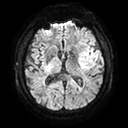
modality: 3 Tesla brain MRI; series: diffusion tensor imaging (medium iso); study: ring-enhancing brain masses.